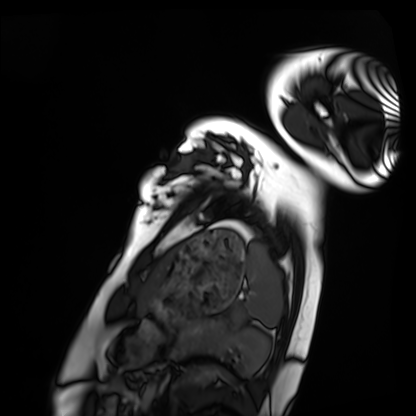
Cardiac MRI. Subject group: healthy volunteer.